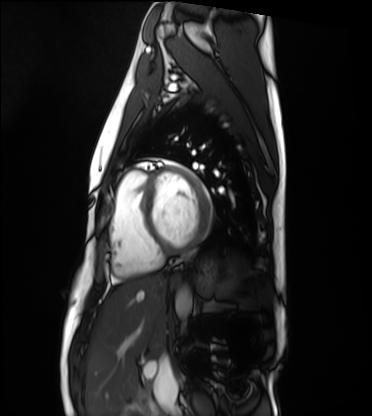
Cardiac MRI.
Subject group: healthy volunteer.